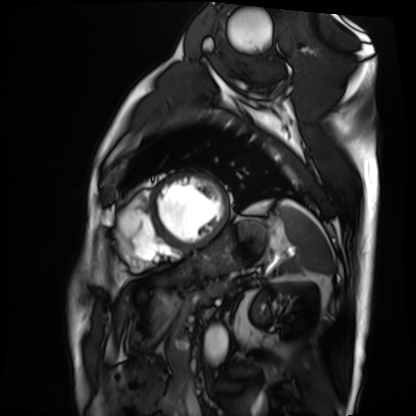
Cardiac MRI.
Subject group: patient.